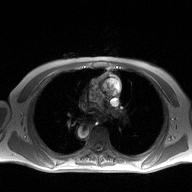
Q: What kind of scan is this?
A: 2D phase-contrast cine MRI of the ascending aorta.